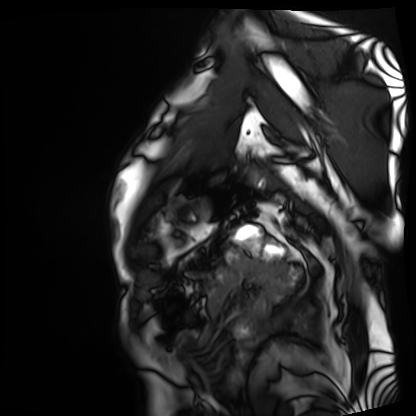
Q: What kind of scan is this?
A: Cardiac MRI.
Subject group: patient.